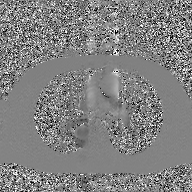
{"modality": {"type": "2D phase-contrast cine MRI", "region": "ascending aorta", "reconstruction": "GAN super-resolution reconstruction"}}